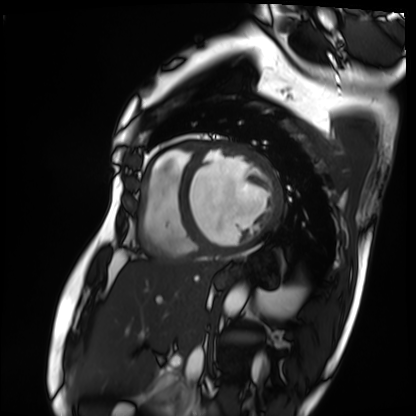
Cardiac MRI. Subject group: patient.